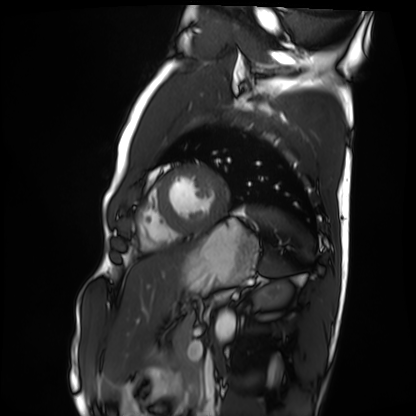
modality: cardiac MRI
subject group: healthy volunteer